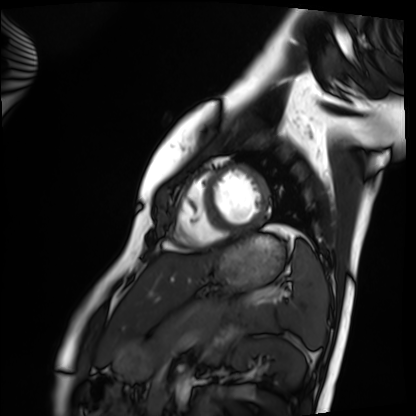
Cardiac MRI. Subject group: healthy volunteer.